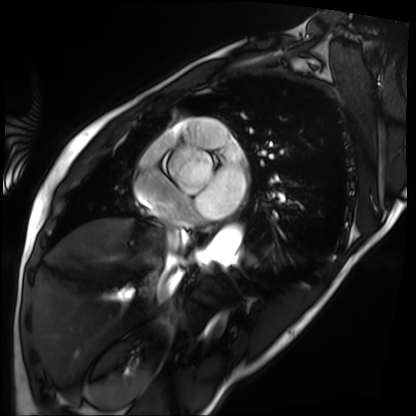
Cardiac MRI. Subject group: patient.